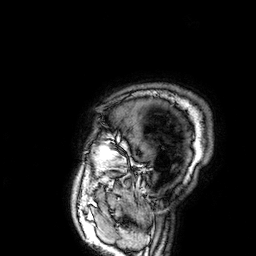
3 Tesla brain MRI. Series: 3D T1-weighted. Study: ring-enhancing brain masses.